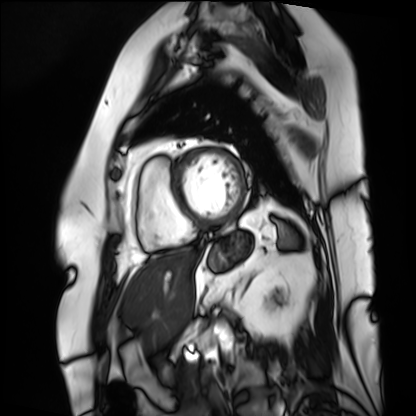
Cardiac MRI.
Subject group: patient.